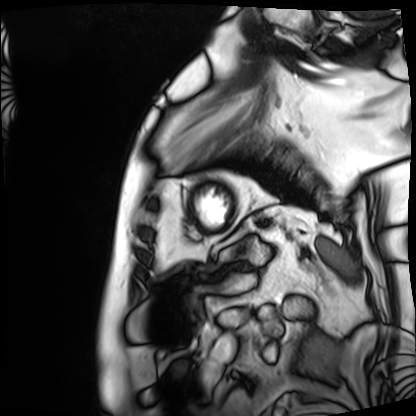
Cardiac MRI. Subject group: patient.